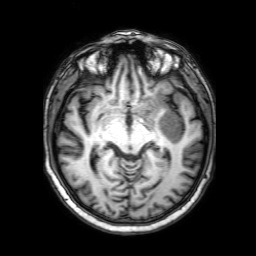
Case summary:
3 Tesla brain MRI. Series: 3D T1-weighted with SENSE. Study: ring-enhancing brain masses.